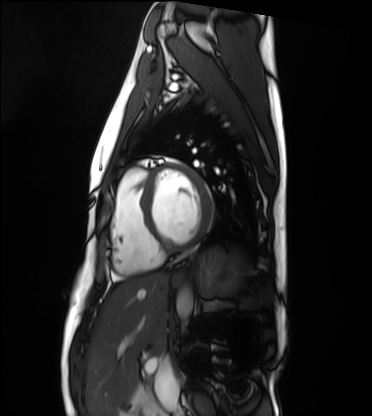
modality = cardiac MRI; subject group = healthy volunteer.